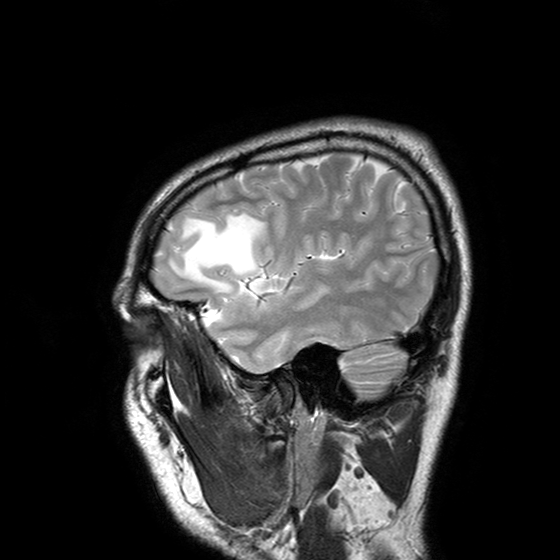
3 Tesla brain MRI. Series: T2-weighted turbo spin echo with SENSE. Study: ring-enhancing brain masses.